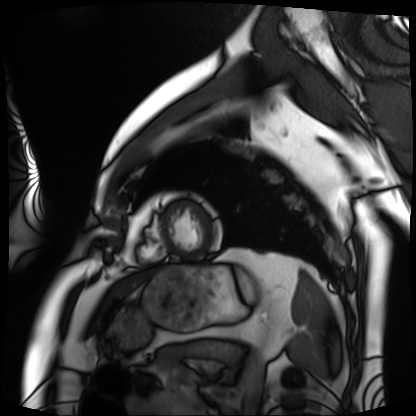
modality: cardiac MRI
cohort: patient